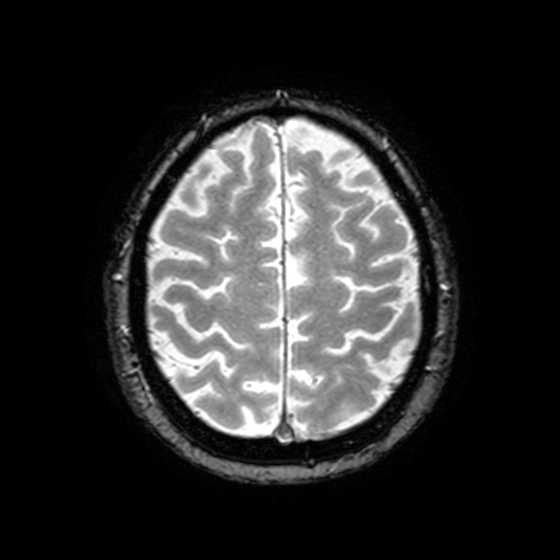
{"modality": {"type": "brain MRI", "field_strength": "3T"}, "series": "T2-weighted fast field echo with SENSE", "study_topic": "ring-enhancing brain masses"}